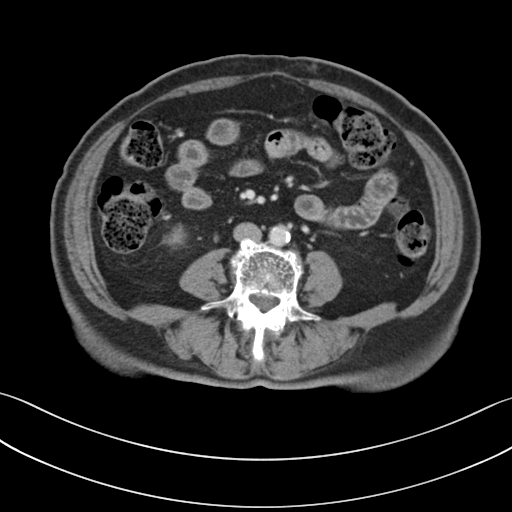
Multiphase abdominal CT, liver, portal venous phase.
Patient: female, age 72.